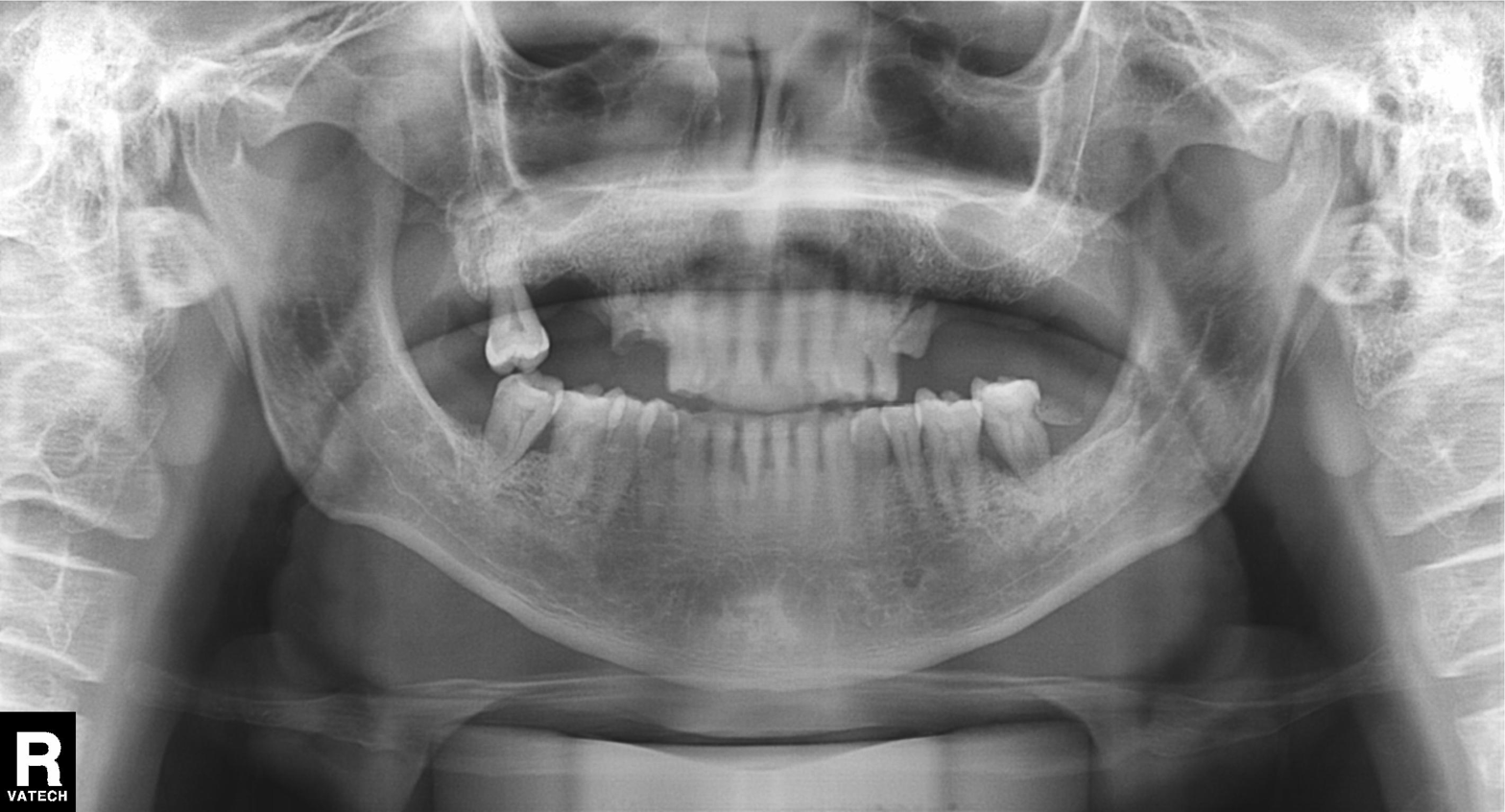
Panoramic dental radiograph (orthopantomogram).
Finding: alveolar bone loss.